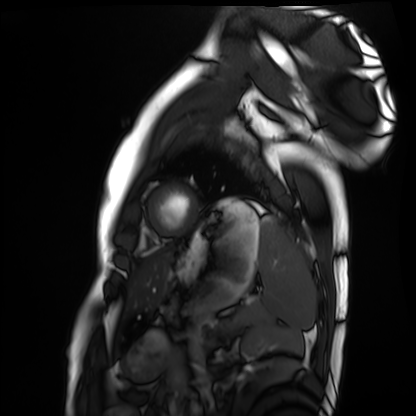
Summary: Cardiac MRI. Subject group: healthy volunteer.